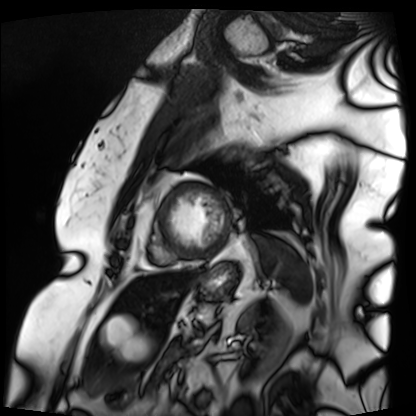
{"modality": "cardiac MRI", "cohort": "patient"}